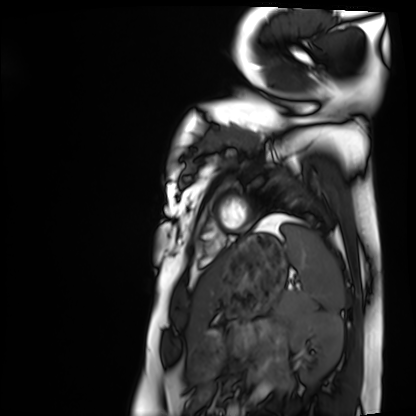
modality: cardiac MRI; subject group: healthy volunteer.